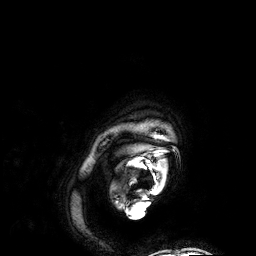
{"modality": {"type": "brain MRI", "field_strength": "3T"}, "series": "3D T1-weighted", "study_topic": "ring-enhancing brain masses"}